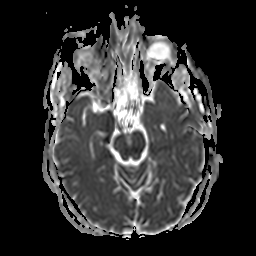
Summary: 3 Tesla brain MRI. Series: apparent diffusion coefficient (ADC) map. Study: ring-enhancing brain masses.